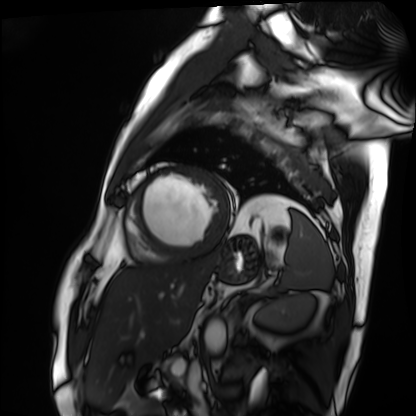
Q: What kind of scan is this?
A: Cardiac MRI.
Subject group: patient.